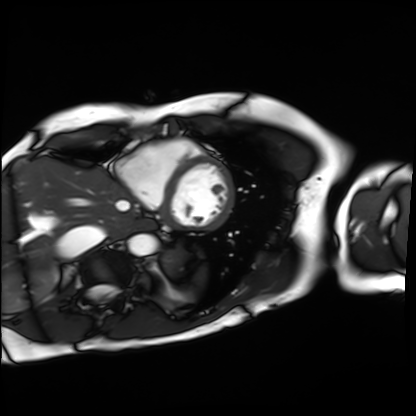
Cardiac MRI. Subject group: patient.